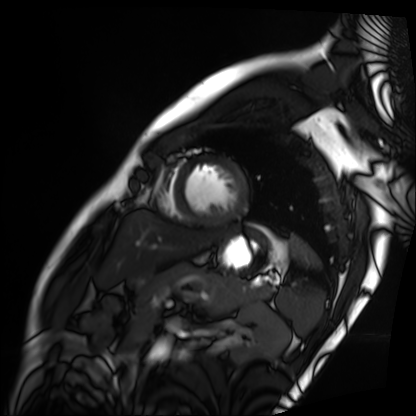
Cardiac MRI. Subject group: patient.